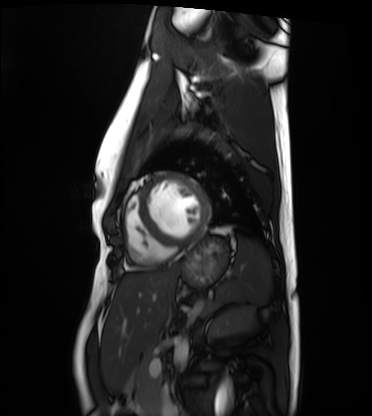
<scan>
<modality>cardiac MRI</modality>
<cohort>healthy volunteer</cohort>
</scan>